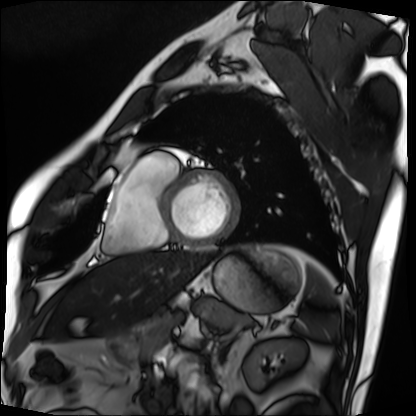
Q: What kind of scan is this?
A: Cardiac MRI.
Subject group: patient.